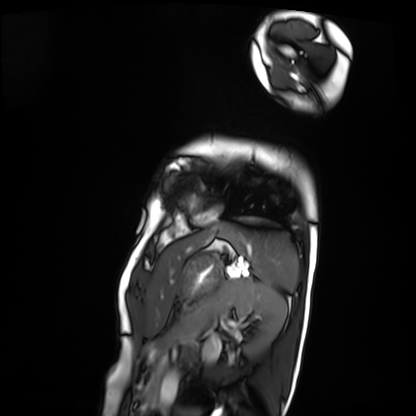
Cardiac MRI.
Subject group: patient.